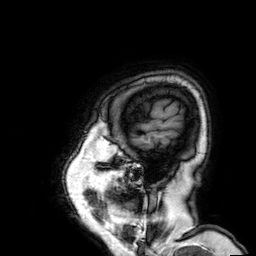
Case:
– modality · 3 Tesla brain MRI
– series · 3D T1-weighted
– study · ring-enhancing brain masses